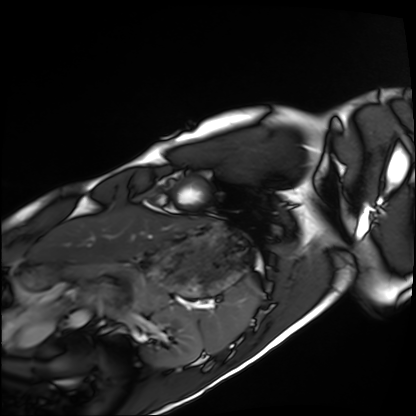
- modality · cardiac MRI
- subject group · healthy volunteer